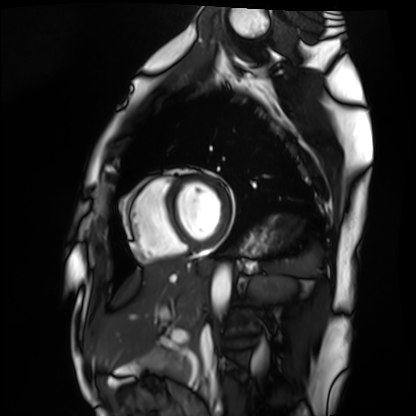
Cardiac MRI. Subject group: healthy volunteer.